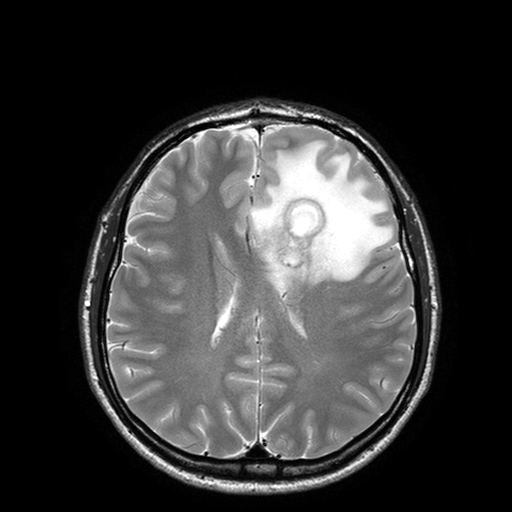
3 Tesla brain MRI. Series: T2-weighted turbo spin echo with SENSE. Study: ring-enhancing brain masses.